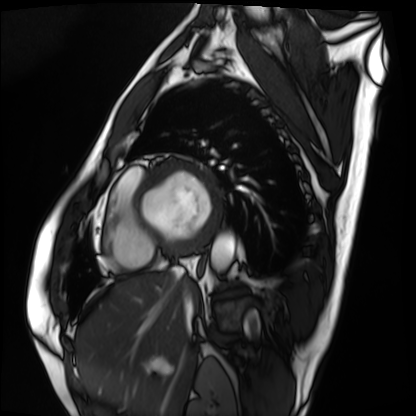
Cardiac MRI. Subject group: patient.